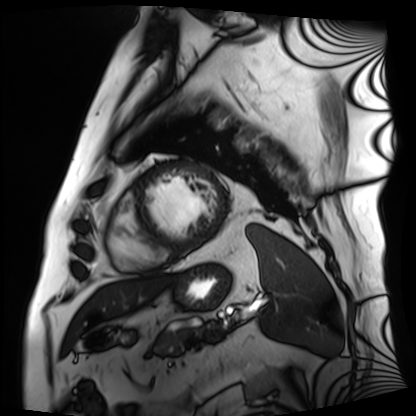
Case:
- modality: cardiac MRI
- subject group: patient